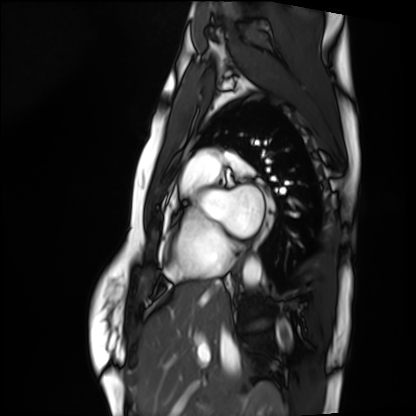
Cardiac MRI. Subject group: healthy volunteer.